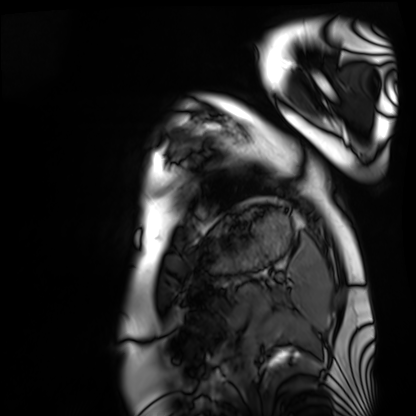
Case summary:
Cardiac MRI. Subject group: healthy volunteer.